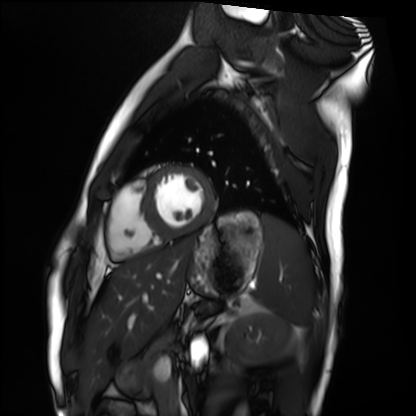
<record>
  <modality>cardiac MRI</modality>
  <cohort>healthy volunteer</cohort>
</record>